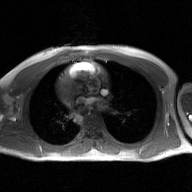
2D phase-contrast cine MRI of the ascending aorta, GAN super-resolution reconstruction.